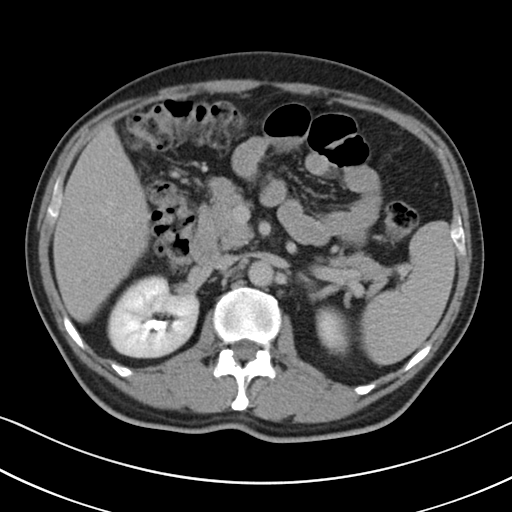
{"modality": {"type": "multiphase abdominal CT", "region": "liver", "phase": "delayed"}, "patient": {"sex": "male", "age": 50}}